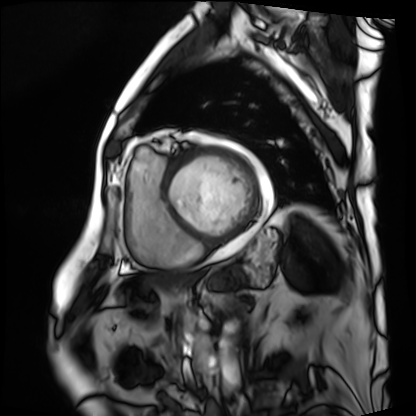
Cardiac MRI.
Subject group: patient.